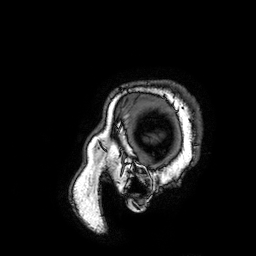
{"modality": {"type": "brain MRI", "field_strength": "3T"}, "series": "3D T1-weighted turbo field echo with SENSE", "study_topic": "ring-enhancing brain masses"}